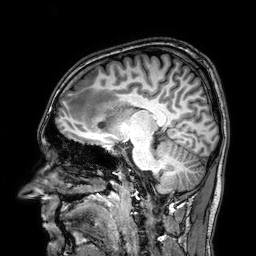
modality: 3 Tesla brain MRI; series: 3D T1-weighted; study: ring-enhancing brain masses.